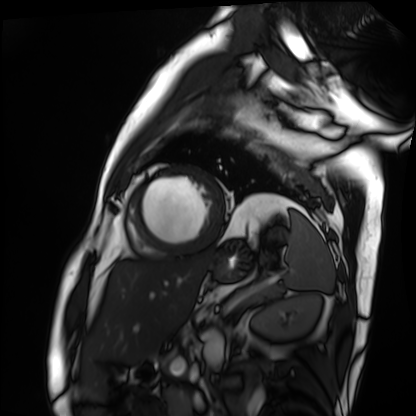
Q: What kind of scan is this?
A: Cardiac MRI.
Subject group: patient.